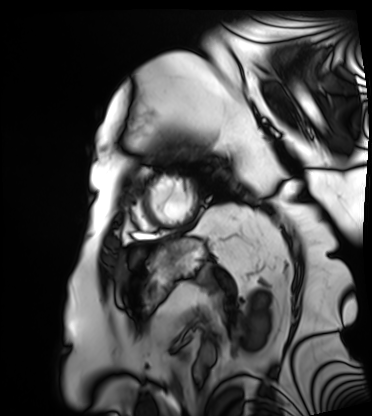
| field | value |
|---|---|
| modality | cardiac MRI |
| subject group | patient |